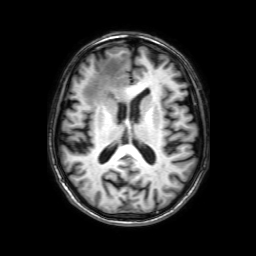
- modality · 3 Tesla brain MRI
- series · 3D T1-weighted with SENSE
- study · ring-enhancing brain masses